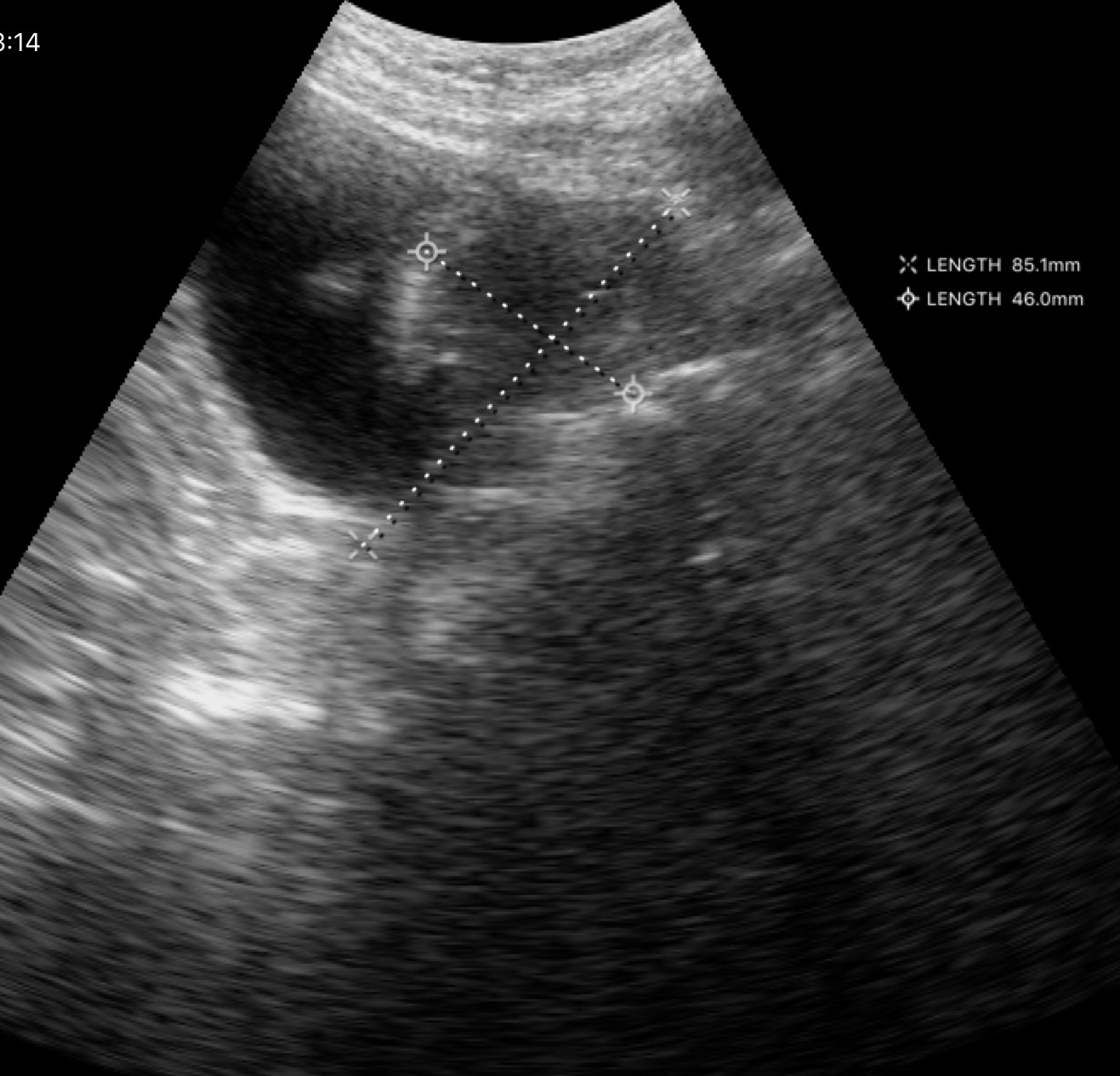
<scan>
  <modality>
    <type>genitourinary ultrasound</type>
  </modality>
</scan>